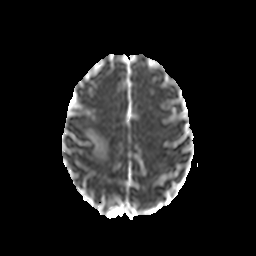
3 Tesla brain MRI. Series: diffusion-weighted imaging with CLEAR. Study: ring-enhancing brain masses.